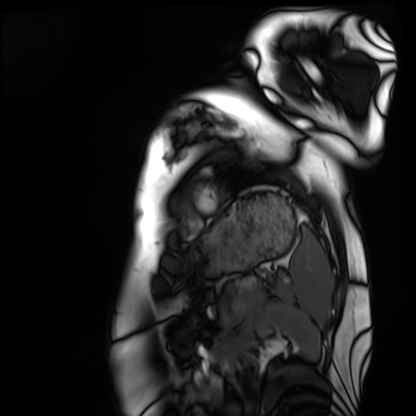
<scan>
  <modality>cardiac MRI</modality>
  <cohort>healthy volunteer</cohort>
</scan>